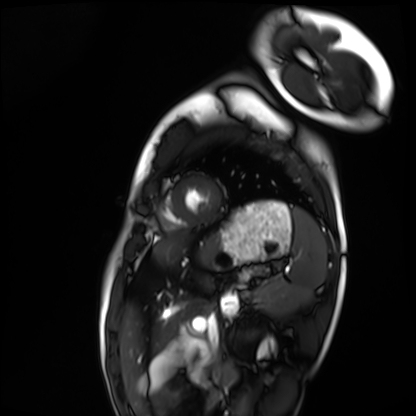
Cardiac MRI. Subject group: healthy volunteer.